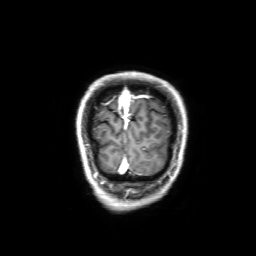
3 Tesla brain MRI. Series: 3D T1-weighted with SENSE. Study: ring-enhancing brain masses.